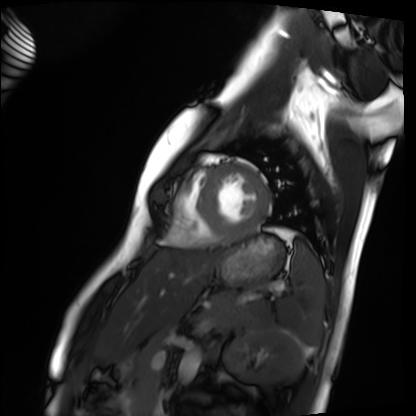
Case summary: Cardiac MRI. Subject group: healthy volunteer.